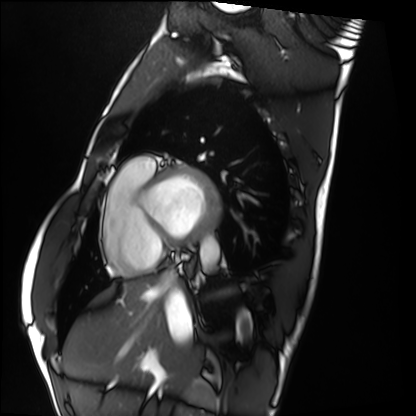
Cardiac MRI. Subject group: healthy volunteer.